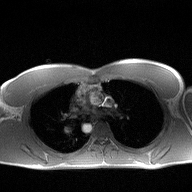
2D phase-contrast cine MRI of the ascending aorta, high-resolution GRAPPA acquisition.